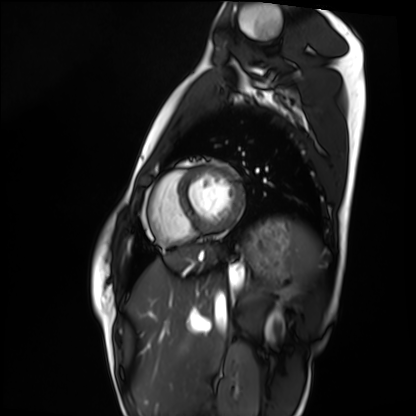
Clinical context:
Cardiac MRI. Subject group: healthy volunteer.